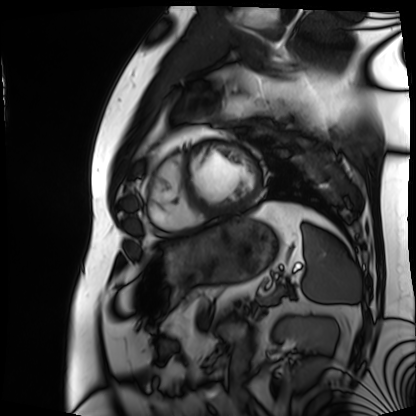
Cardiac MRI.
Subject group: patient.